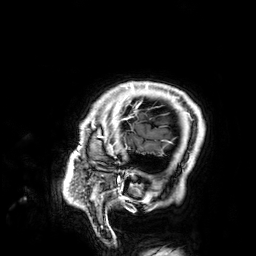
Q: What kind of scan is this?
A: 3 Tesla brain MRI.
Q: Series?
A: 3D T1-weighted.
Study: ring-enhancing brain masses.